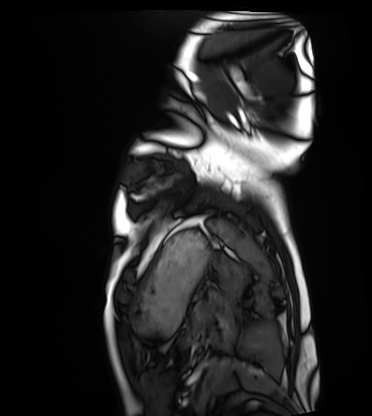
  modality: cardiac MRI
  cohort: healthy volunteer